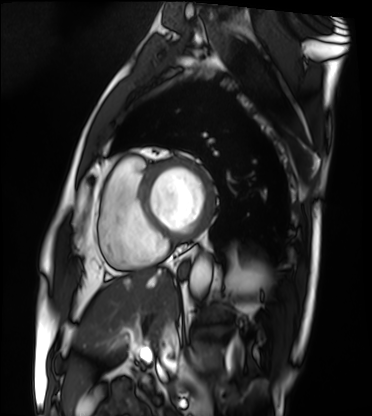
modality=cardiac MRI | subject group=patient.